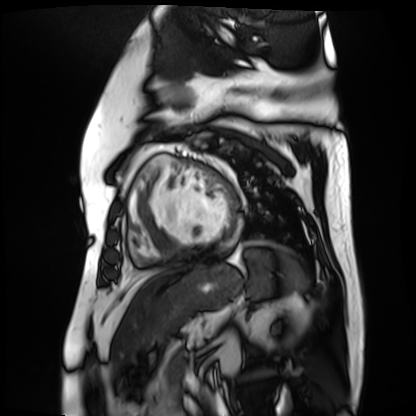
Cardiac MR image of the myocardium. Subject cohort: cardiac patient.